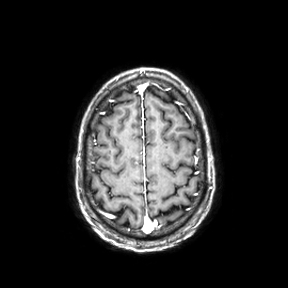
| field | value |
|---|---|
| modality | 3 Tesla brain MRI |
| series | axial |
| study | ring-enhancing brain masses |